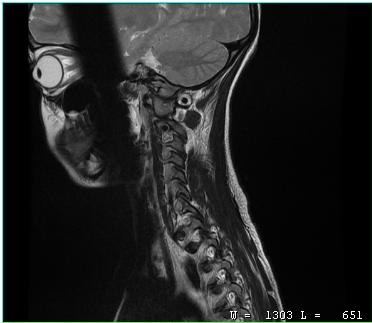
* modality — MRI of the cervical spine
* study — cervical spondylosis